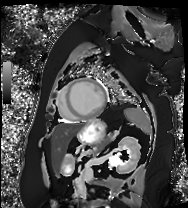
modality: cardiac MRI | subject group: patient.